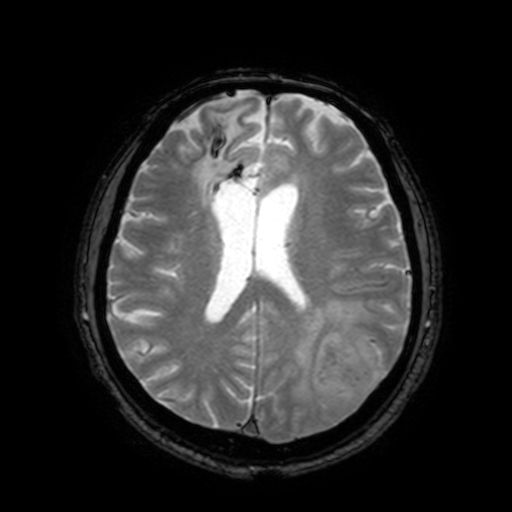
{"modality": {"type": "brain MRI", "field_strength": "3T"}, "series": "T2-weighted fast field echo with SENSE", "study_topic": "ring-enhancing brain masses"}